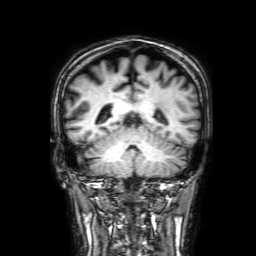
3 Tesla brain MRI. Series: 3D T1-weighted with SENSE. Study: ring-enhancing brain masses.